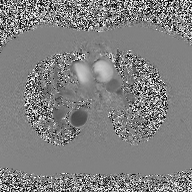
<study>
  <modality>
    <type>2D phase-contrast cine MRI</type>
    <region>ascending aorta</region>
    <reconstruction>high-resolution GRAPPA acquisition</reconstruction>
  </modality>
</study>